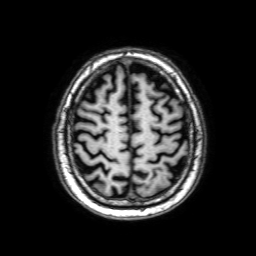
Clinical context: 3 Tesla brain MRI. Series: 3D T1-weighted with SENSE. Study: ring-enhancing brain masses.